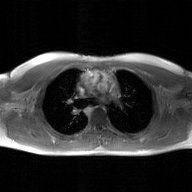
Clinical context: 2D phase-contrast cine MRI of the ascending aorta, GAN super-resolution reconstruction.